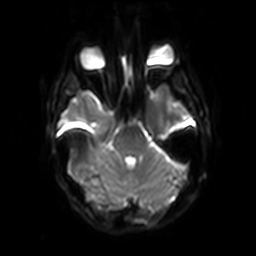
3 Tesla brain MRI.
Series: diffusion-weighted imaging with SENSE (WIP).
Study: ring-enhancing brain masses.